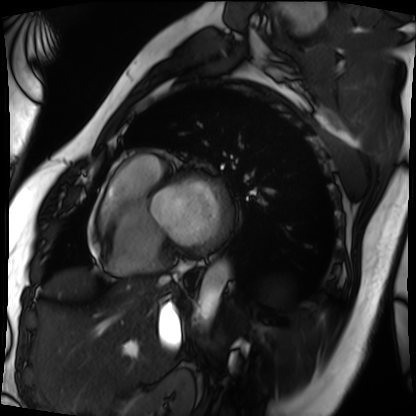
Cardiac MRI.
Subject group: patient.